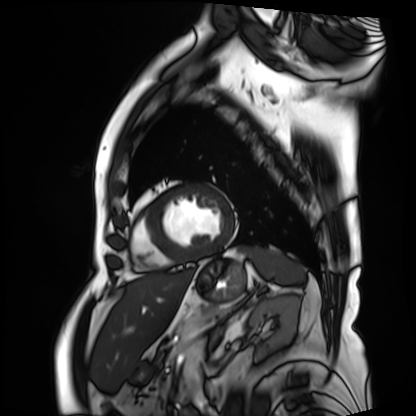
<case>
  <modality>cardiac MRI</modality>
  <cohort>patient</cohort>
</case>